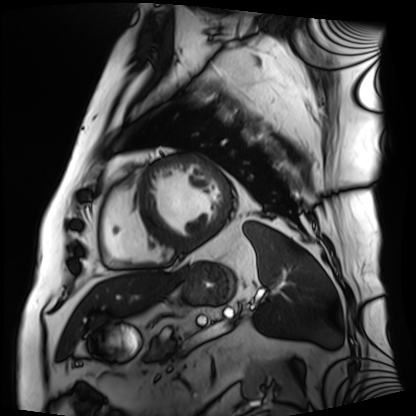
Q: What kind of scan is this?
A: Cardiac MRI.
Subject group: patient.